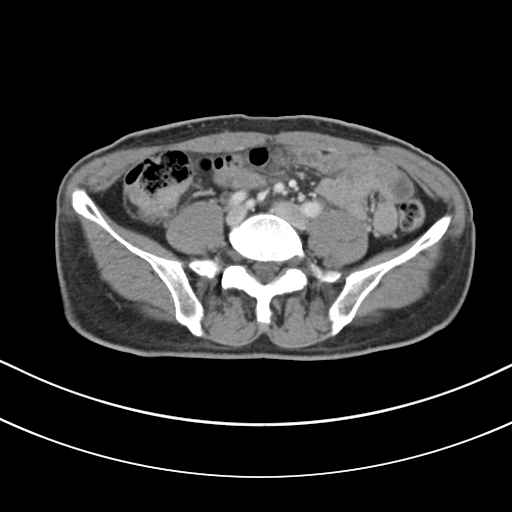
{
  "modality": {
    "type": "multiphase abdominal CT",
    "region": "liver",
    "phase": "portal venous"
  },
  "patient": {
    "sex": "male",
    "age": 61
  }
}